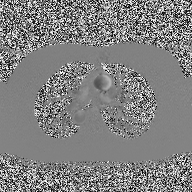
modality = 2D phase-contrast cine MRI of the ascending aorta